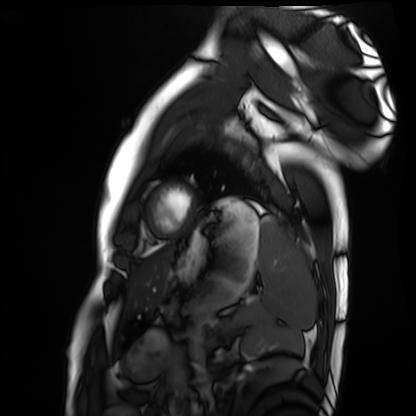
Cardiac MRI. Subject group: healthy volunteer.